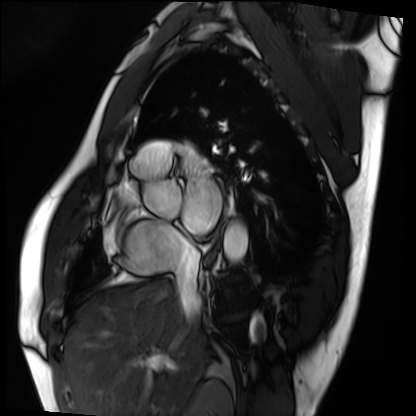
Cardiac MRI.
Subject group: patient.